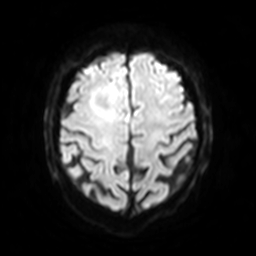
Q: What kind of scan is this?
A: 3 Tesla brain MRI.
Q: Series?
A: Diffusion-weighted imaging with SENSE (WIP).
Study: ring-enhancing brain masses.